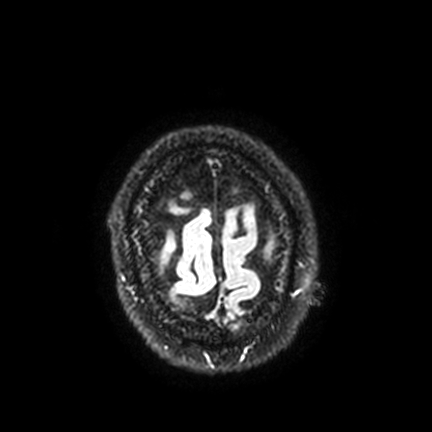
modality = 3 Tesla brain MRI; series = FLAIR VISTA with SENSE; study = ring-enhancing brain masses.